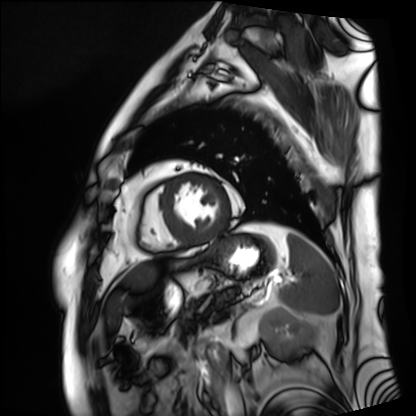
| field | value |
|---|---|
| modality | cardiac MRI |
| subject group | patient |